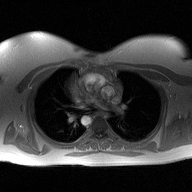
2D phase-contrast cine MRI of the ascending aorta, high-resolution GRAPPA acquisition.